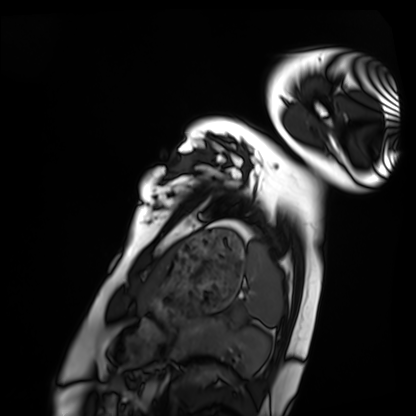
Q: What kind of scan is this?
A: Cardiac MRI.
Subject group: healthy volunteer.